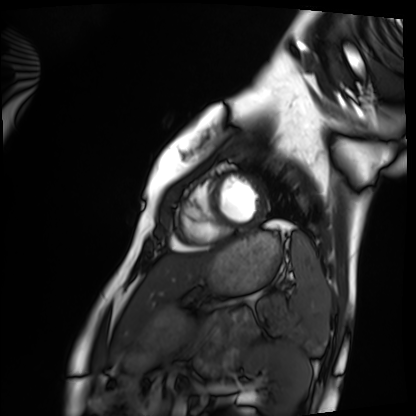
<record>
  <modality>cardiac MRI</modality>
  <cohort>healthy volunteer</cohort>
</record>